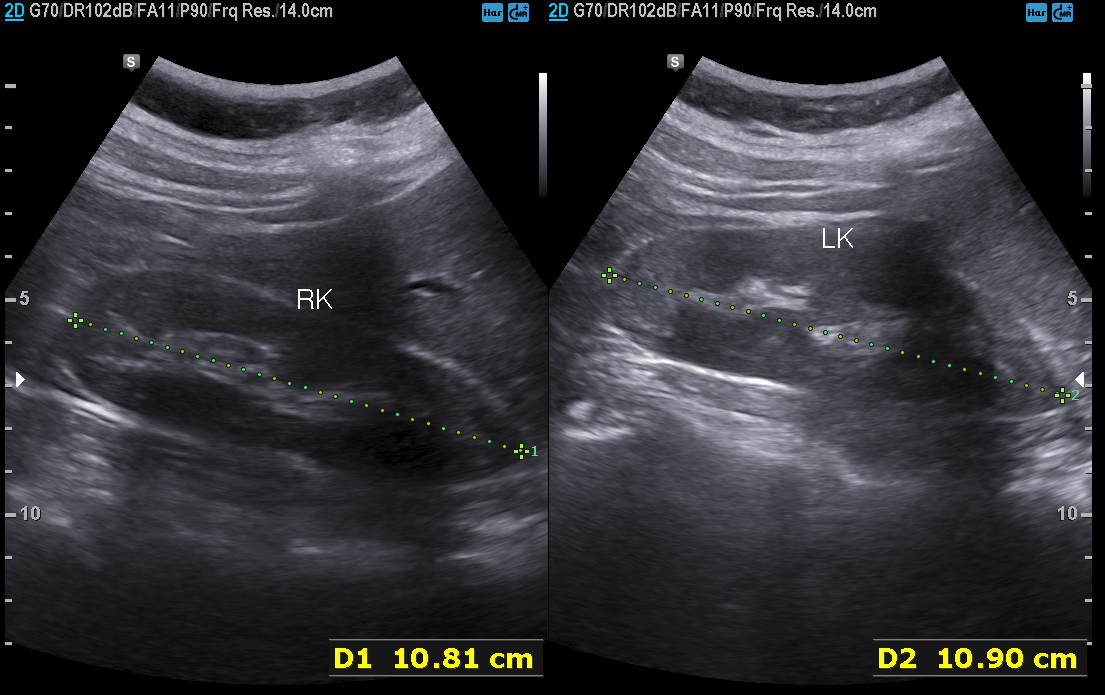
* modality — genitourinary ultrasound